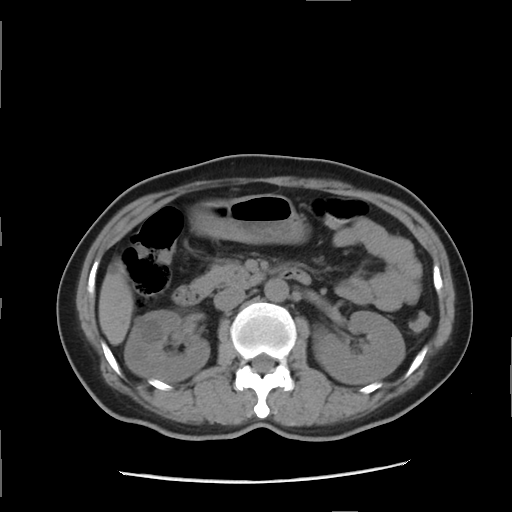
Case:
- modality — multiphase abdominal CT, liver, non-contrast phase
- patient — female, age 43